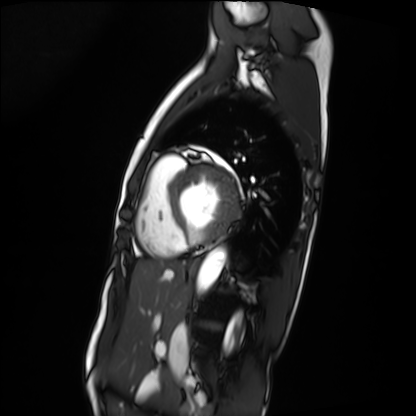
{"modality": "cardiac MRI", "cohort": "patient"}